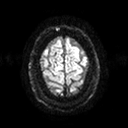
Clinical context:
3 Tesla brain MRI. Series: diffusion tensor imaging (medium iso). Study: ring-enhancing brain masses.